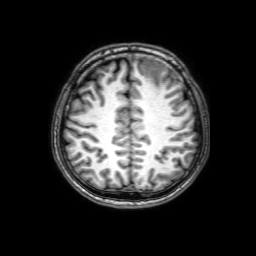
3 Tesla brain MRI. Series: 3D T1-weighted with SENSE. Study: ring-enhancing brain masses.